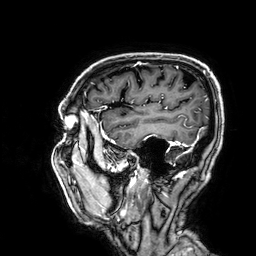
3 Tesla brain MRI. Series: 3D T1-weighted. Study: ring-enhancing brain masses.